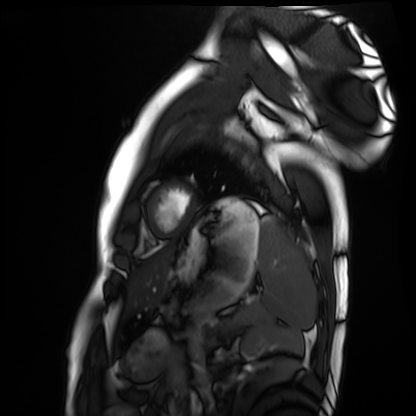
Cardiac MRI.
Subject group: healthy volunteer.